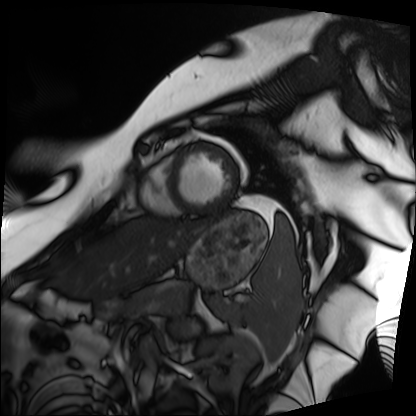
Case summary: Cardiac MRI. Subject group: patient.